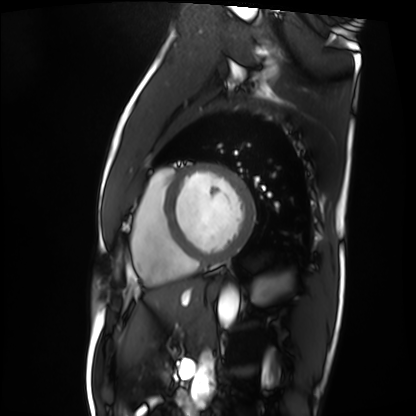
• modality · cardiac MRI
• subject group · patient